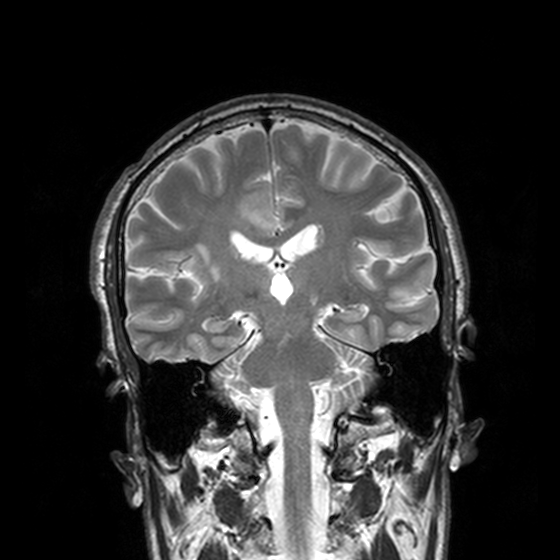
3 Tesla brain MRI.
Series: T2-weighted turbo spin echo, 3 mm.
Study: ring-enhancing brain masses.